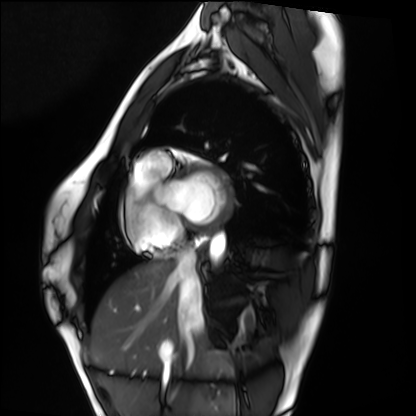
{"modality": "cardiac MRI", "cohort": "healthy volunteer"}